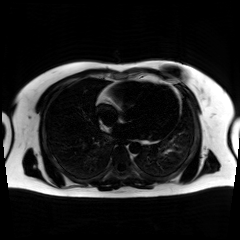
Chemical-shift-encoded cardiac MRI.